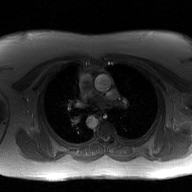
2D phase-contrast cine MRI of the ascending aorta, GAN super-resolution reconstruction.